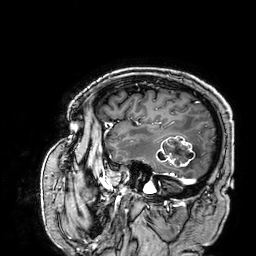
3 Tesla brain MRI.
Series: 3D T1-weighted.
Study: ring-enhancing brain masses.